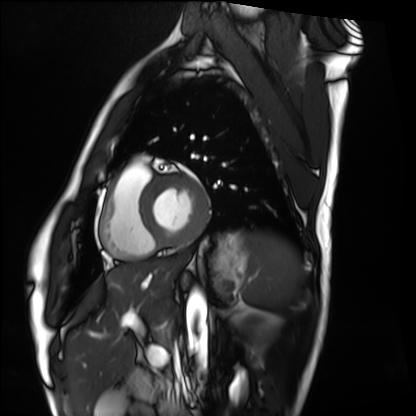
<study>
<modality>cardiac MRI</modality>
<cohort>healthy volunteer</cohort>
</study>